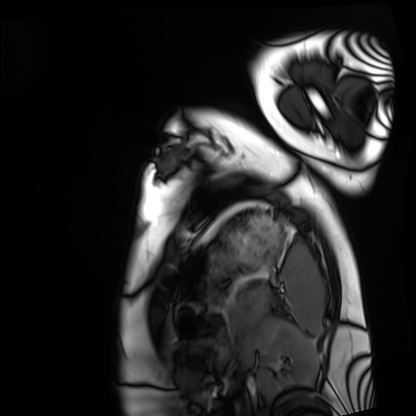
Cardiac MRI. Subject group: healthy volunteer.